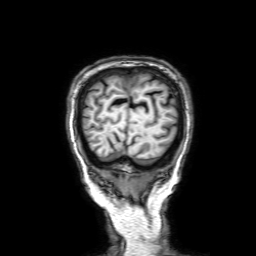
Clinical context:
3 Tesla brain MRI. Series: 3D T1-weighted with SENSE. Study: ring-enhancing brain masses.